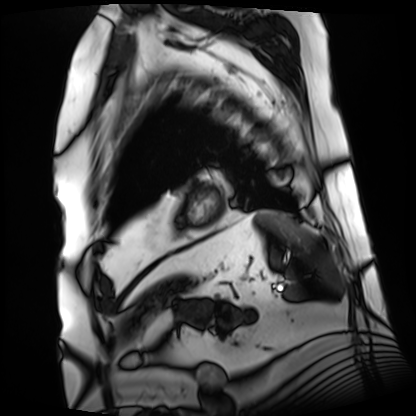
Q: What kind of scan is this?
A: Cardiac MRI.
Subject group: patient.